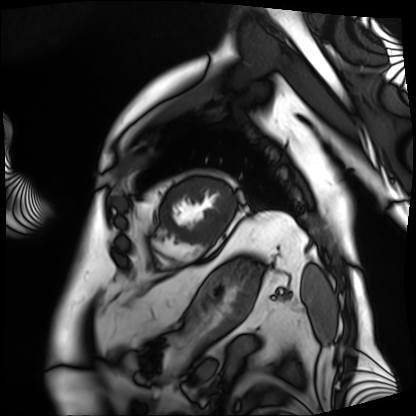
Q: What kind of scan is this?
A: Cardiac MRI.
Subject group: patient.